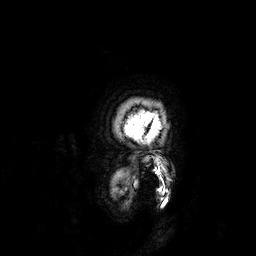
3 Tesla brain MRI. Series: 3D T1-weighted. Study: ring-enhancing brain masses.